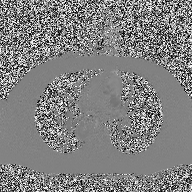
| field | value |
|---|---|
| modality | 2D phase-contrast cine MRI of the ascending aorta |